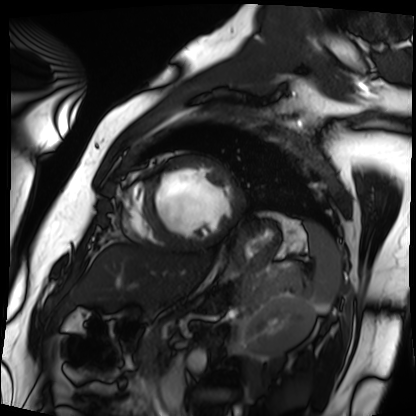
Case summary:
Cardiac MRI. Subject group: patient.